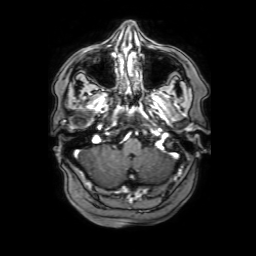
• modality — 3 Tesla brain MRI
• series — 3D T1-weighted with SENSE
• study — ring-enhancing brain masses